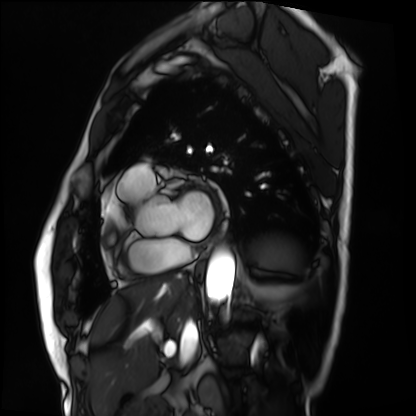
Cardiac MRI. Subject group: patient.